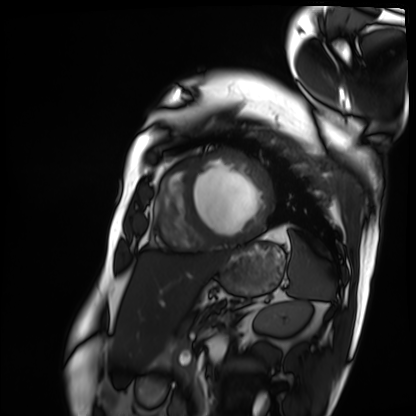
modality = cardiac MRI; subject group = patient.